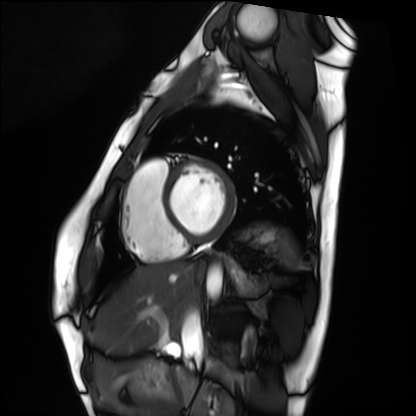
Case:
• modality · cardiac MRI
• subject group · healthy volunteer